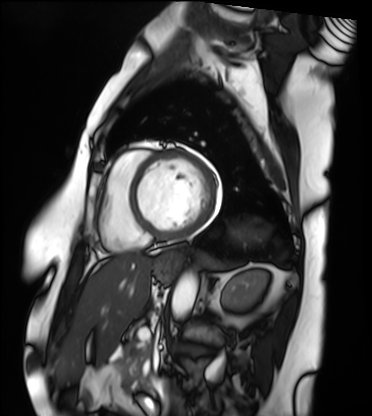
Summary:
Cardiac MRI. Subject group: patient.